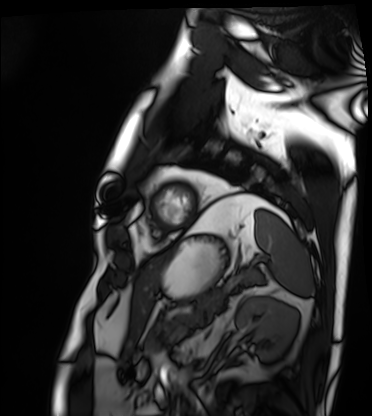
* modality — cardiac MRI
* subject group — patient